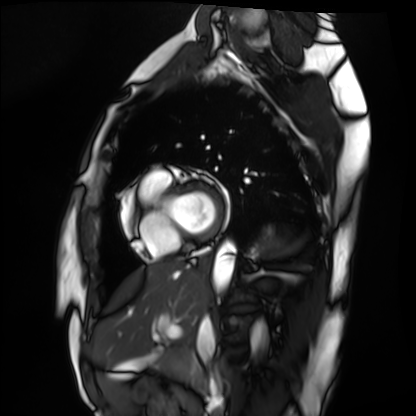
Summary: Cardiac MRI. Subject group: healthy volunteer.